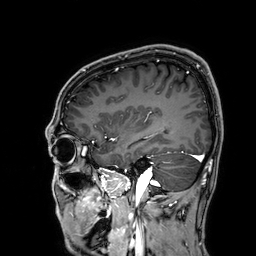
Summary: 3 Tesla brain MRI. Study: ring-enhancing brain masses.